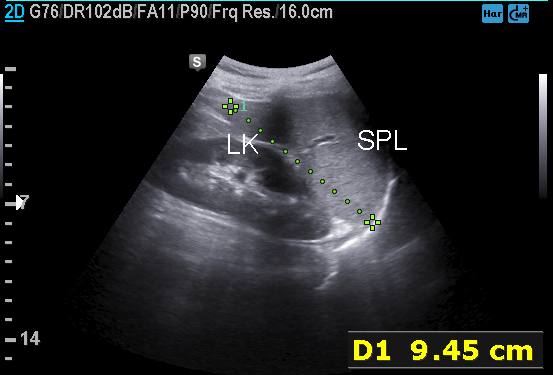
Clinical context:
Genitourinary ultrasound.